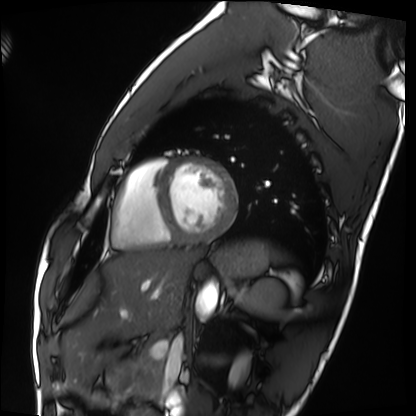
• modality · cardiac MRI
• subject group · healthy volunteer